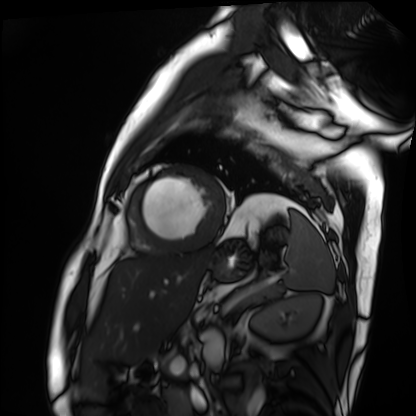
Case:
– modality · cardiac MRI
– subject group · patient